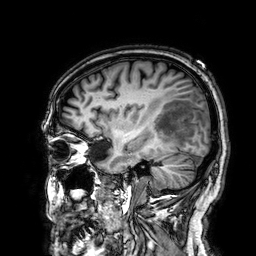
modality = 3 Tesla brain MRI
series = 3D T1-weighted
study = ring-enhancing brain masses